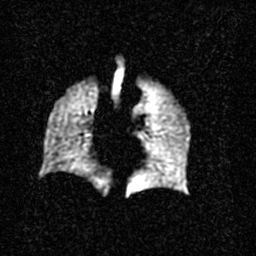
Summary:
Hyperpolarized 129Xe ventilation MRI of the lungs. SNR level 2 of 8 (the deposit holds this scan as its native image and as seven SNR-degraded versions).